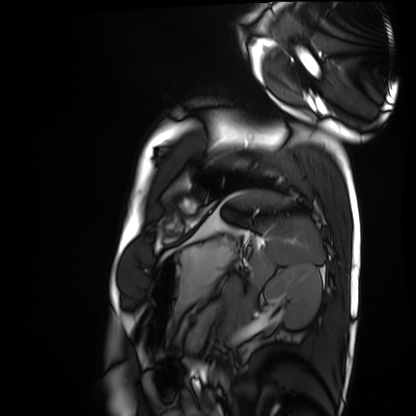
Clinical context:
Cardiac MRI. Subject group: healthy volunteer.